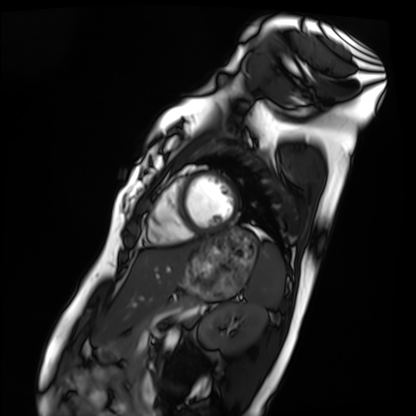
modality: cardiac MRI
subject group: healthy volunteer